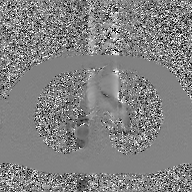
Case summary:
2D phase-contrast cine MRI of the ascending aorta, GAN super-resolution reconstruction.